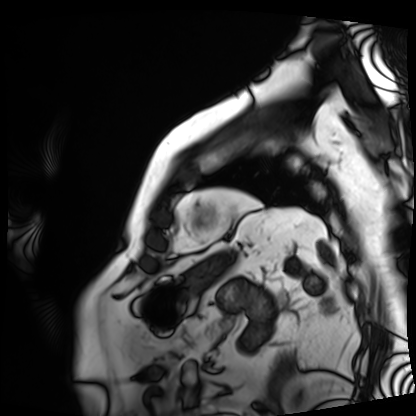
Cardiac MRI. Subject group: patient.